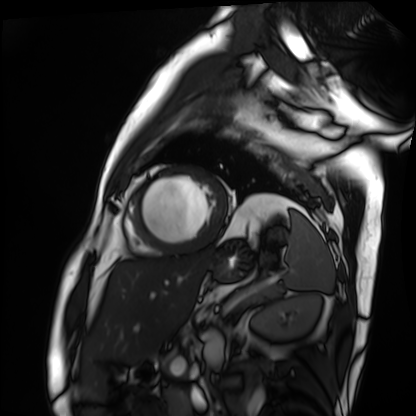
Cardiac MRI. Subject group: patient.